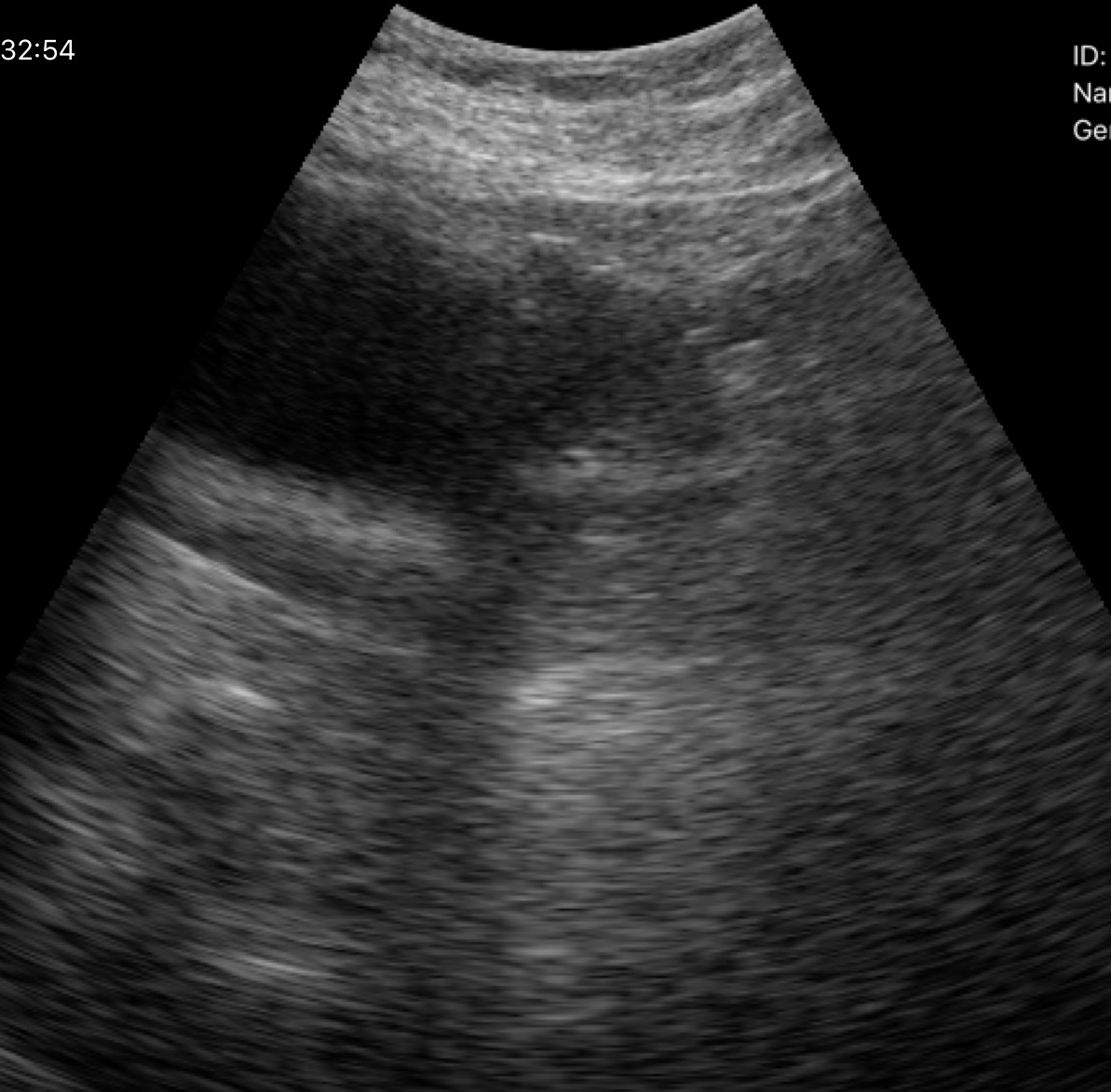
Summary: Genitourinary ultrasound.